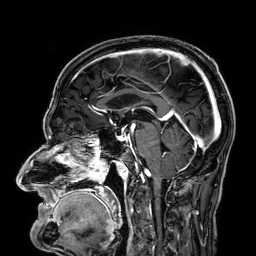
- modality · 3 Tesla brain MRI
- series · 3D T1-weighted
- study · ring-enhancing brain masses